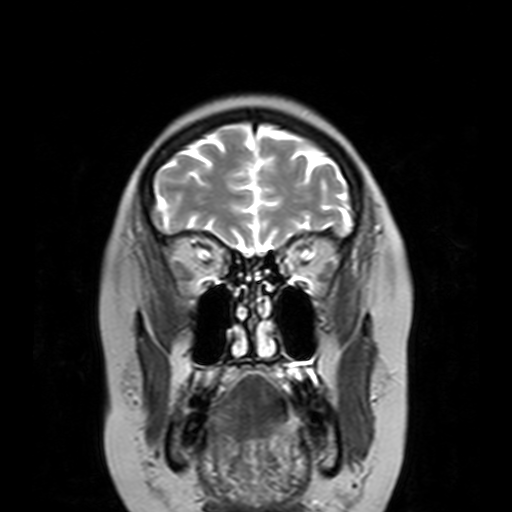
Q: What kind of scan is this?
A: 3 Tesla brain MRI.
Q: Series?
A: T2-weighted turbo spin echo with SENSE.
Study: ring-enhancing brain masses.